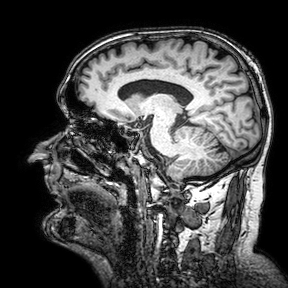
3 Tesla brain MRI. Series: 3D T1-weighted turbo field echo with SENSE. Study: ring-enhancing brain masses.